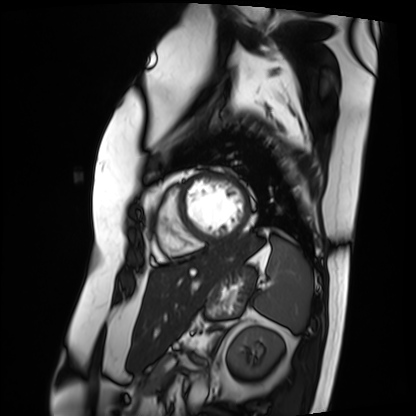
Cardiac MRI.
Subject group: patient.